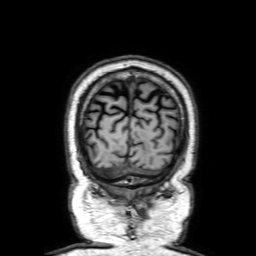
Q: What kind of scan is this?
A: 3 Tesla brain MRI.
Q: Series?
A: 3D T1-weighted with SENSE.
Study: ring-enhancing brain masses.